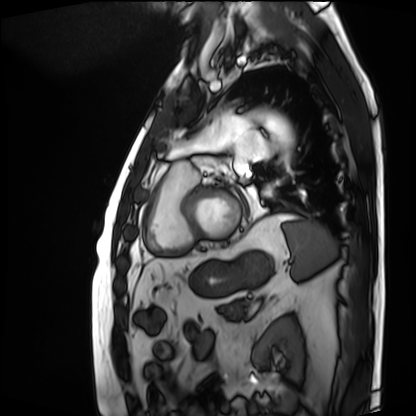
Cardiac MRI. Subject group: patient.